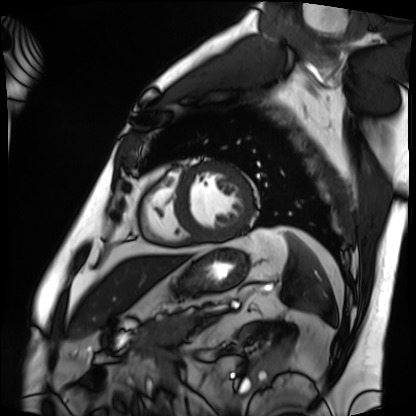
Cardiac MRI.
Subject group: patient.